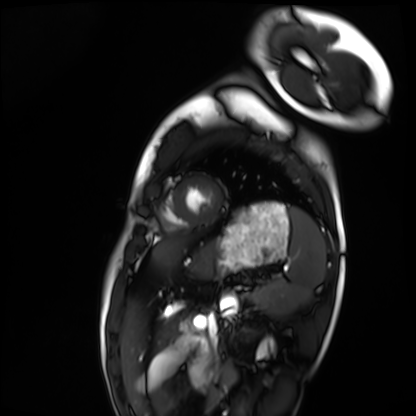
Cardiac MRI. Subject group: healthy volunteer.